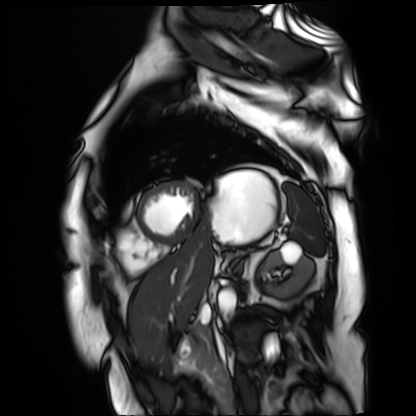
Cardiac MR image of the myocardium.
Subject cohort: cardiac patient.